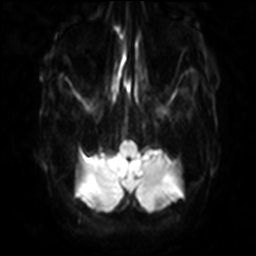
Case summary:
3 Tesla brain MRI. Series: diffusion-weighted imaging with SENSE (WIP). Study: ring-enhancing brain masses.